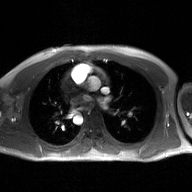
2D phase-contrast cine MRI of the ascending aorta, GAN super-resolution reconstruction.